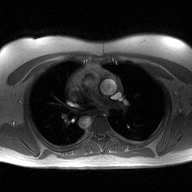
Q: What kind of scan is this?
A: 2D phase-contrast cine MRI of the ascending aorta.